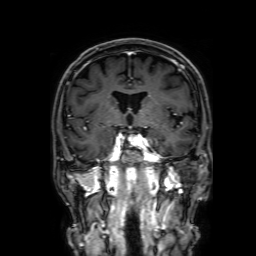
| field | value |
|---|---|
| modality | 3 Tesla brain MRI |
| series | 3D T1-weighted with SENSE |
| study | ring-enhancing brain masses |